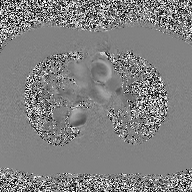
2D phase-contrast cine MRI of the ascending aorta, high-resolution GRAPPA acquisition.